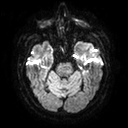
Q: What kind of scan is this?
A: 3 Tesla brain MRI.
Q: Series?
A: Diffusion tensor imaging (medium iso).
Study: ring-enhancing brain masses.